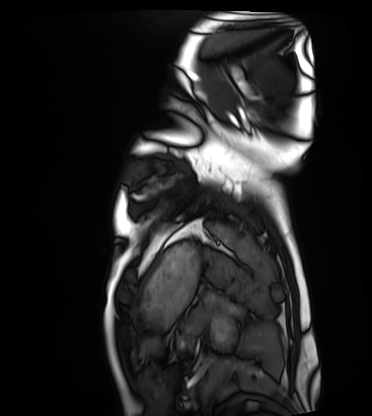
Cardiac MRI.
Subject group: healthy volunteer.